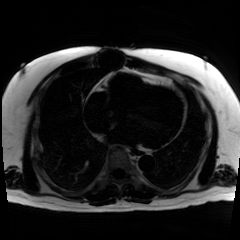
<scan>
<modality>chemical-shift-encoded cardiac MRI</modality>
</scan>